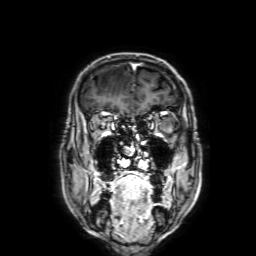
3 Tesla brain MRI. Series: 3D T1-weighted with SENSE. Study: ring-enhancing brain masses.